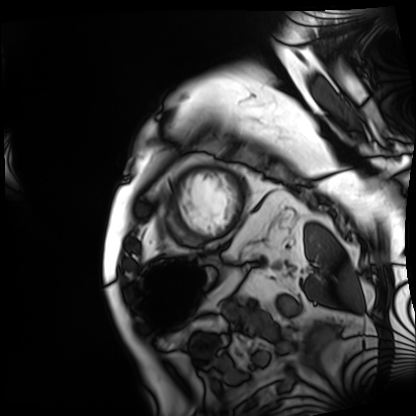
Cardiac MRI. Subject group: patient.